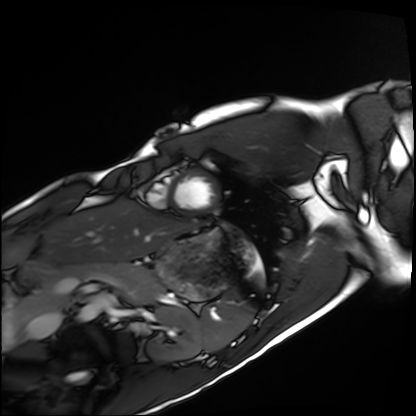
Summary:
Cardiac MRI. Subject group: healthy volunteer.